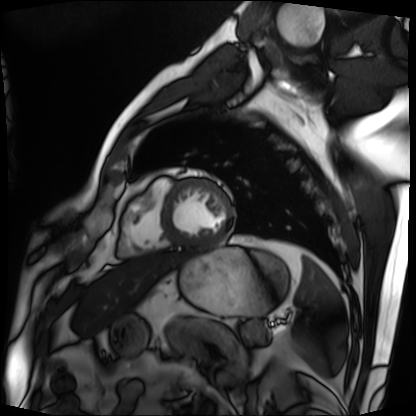
Q: What kind of scan is this?
A: Cardiac MRI.
Subject group: patient.